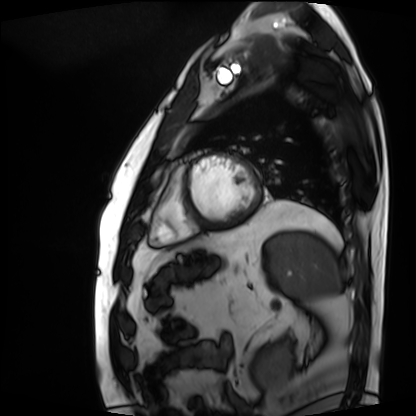
Q: What kind of scan is this?
A: Cardiac MRI.
Subject group: patient.